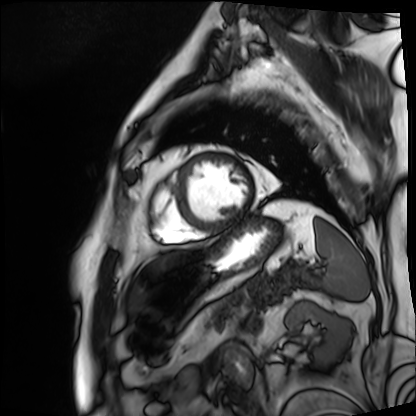
modality=cardiac MRI | subject group=patient.